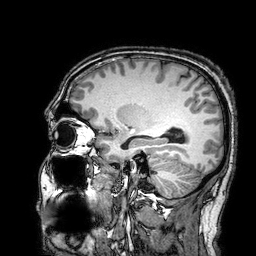
modality = 3 Tesla brain MRI | study = ring-enhancing brain masses.